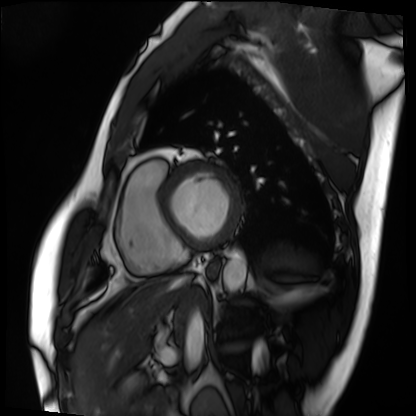
* modality · cardiac MRI
* subject group · patient